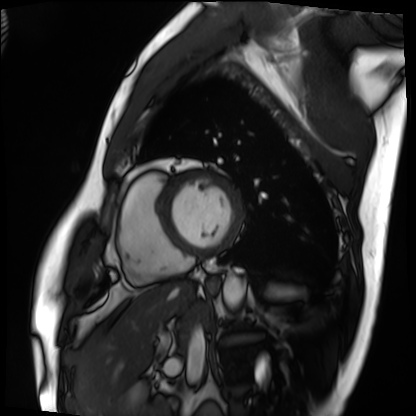
Cardiac MRI. Subject group: patient.